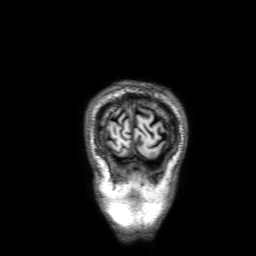
<case>
  <modality>
    <type>brain MRI</type>
    <field_strength>3T</field_strength>
  </modality>
  <series>3D T1-weighted with SENSE</series>
  <study_topic>ring-enhancing brain masses</study_topic>
</case>